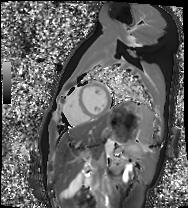
Cardiac MRI. Subject group: healthy volunteer.